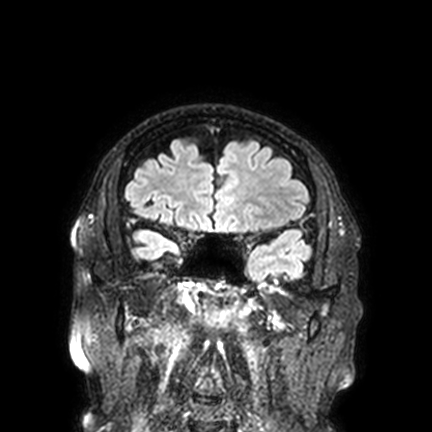
<scan>
<modality>
  <type>brain MRI</type>
  <field_strength>3T</field_strength>
</modality>
<series>FLAIR VISTA with SENSE</series>
<study_topic>ring-enhancing brain masses</study_topic>
</scan>